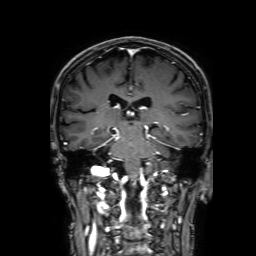
3 Tesla brain MRI. Series: 3D T1-weighted with SENSE. Study: ring-enhancing brain masses.